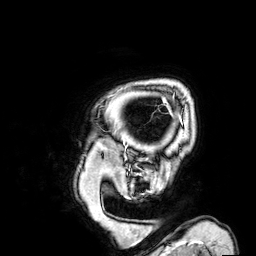
{"modality": {"type": "brain MRI", "field_strength": "3T"}, "series": "3D T1-weighted", "study_topic": "ring-enhancing brain masses"}